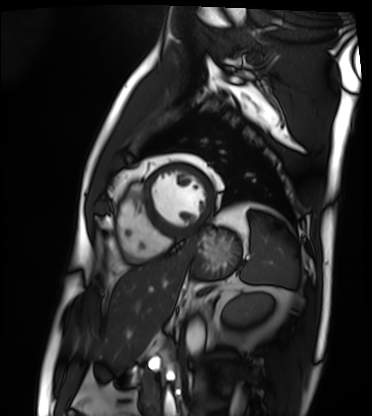
Cardiac MRI. Subject group: patient.